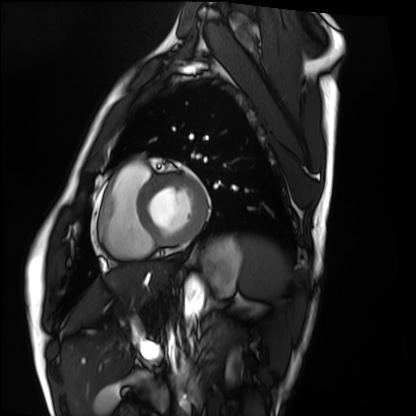
Cardiac MRI. Subject group: healthy volunteer.